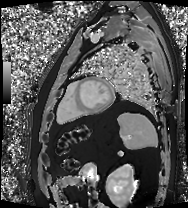
Clinical context:
Cardiac MRI. Subject group: patient.